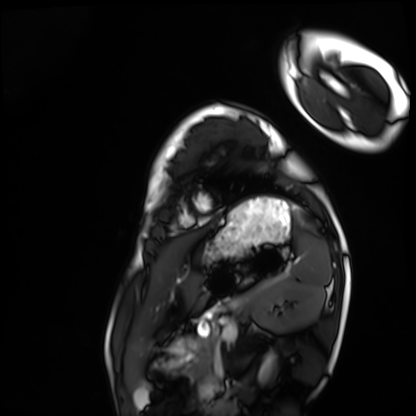
Cardiac MRI.
Subject group: healthy volunteer.